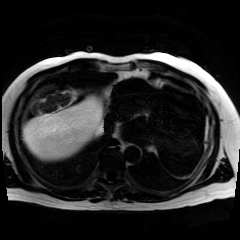
Case summary:
Chemical-shift-encoded cardiac MRI.